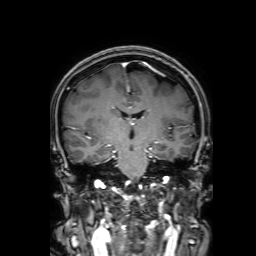
3 Tesla brain MRI.
Series: 3D T1-weighted with SENSE.
Study: ring-enhancing brain masses.